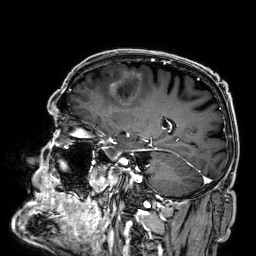
modality — 3 Tesla brain MRI; series — 3D T1-weighted; study — ring-enhancing brain masses.